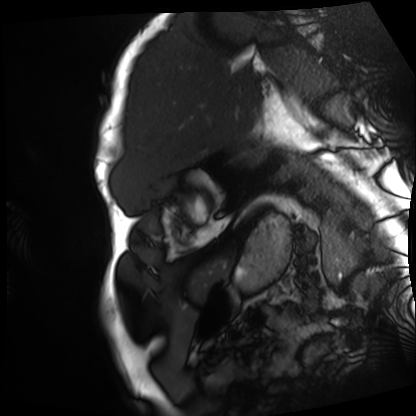
modality=cardiac MRI; subject group=patient.